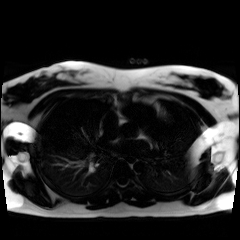
Summary: Chemical-shift-encoded cardiac MRI.